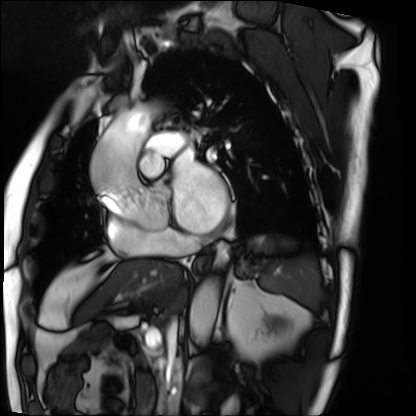
<record>
<modality>cardiac MRI</modality>
<cohort>patient</cohort>
</record>